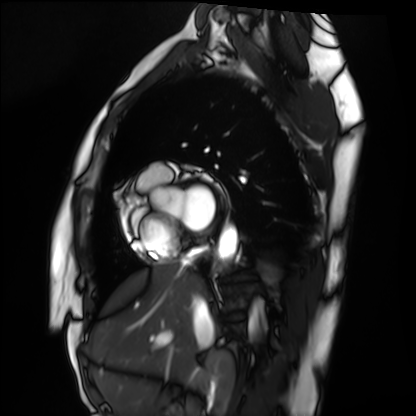
Cardiac MRI. Subject group: healthy volunteer.